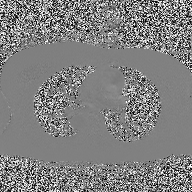
2D phase-contrast cine MRI of the ascending aorta, high-resolution GRAPPA acquisition.